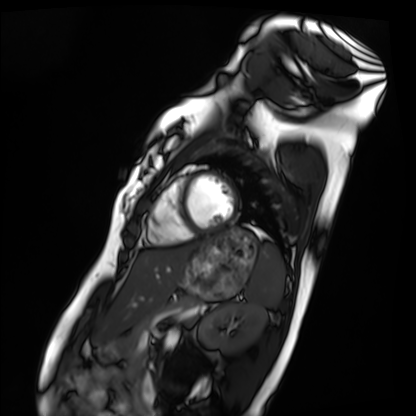
Case summary: Cardiac MRI. Subject group: healthy volunteer.